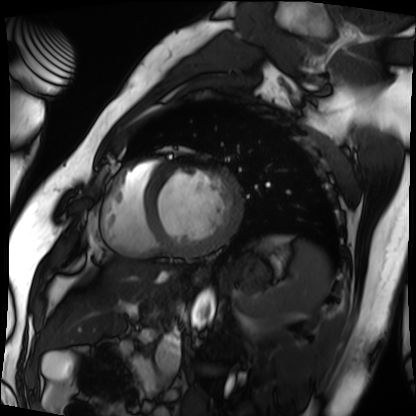
Cardiac MRI.
Subject group: patient.